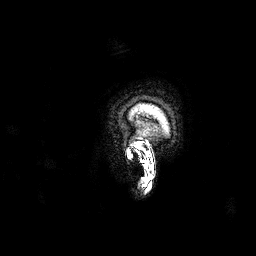
3 Tesla brain MRI. Series: 3D T1-weighted. Study: ring-enhancing brain masses.